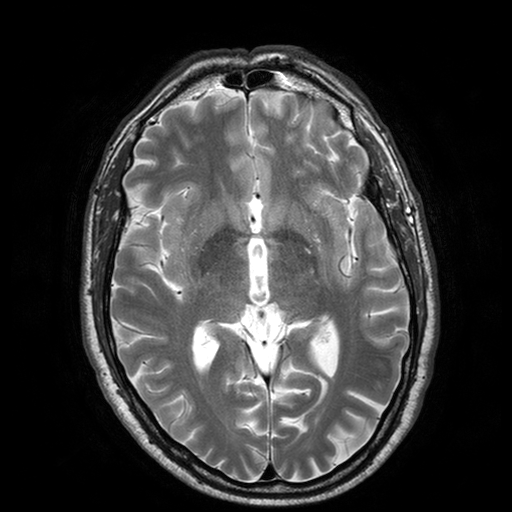
3 Tesla brain MRI. Series: T2-weighted turbo spin echo with SENSE. Study: ring-enhancing brain masses.